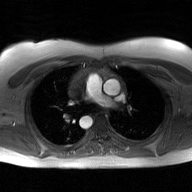
Q: What kind of scan is this?
A: 2D phase-contrast cine MRI of the ascending aorta, GAN super-resolution reconstruction.